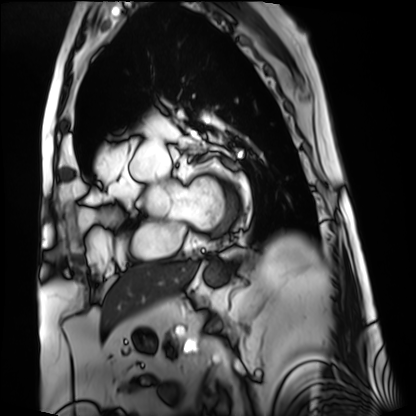
<study>
  <modality>cardiac MRI</modality>
  <cohort>patient</cohort>
</study>